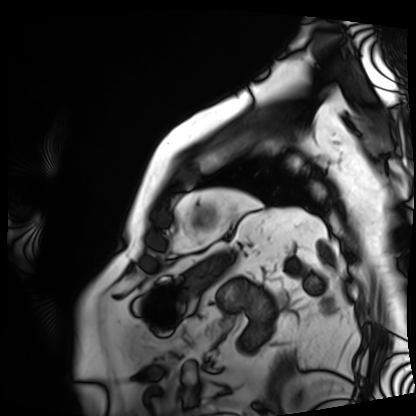
Cardiac MRI. Subject group: patient.